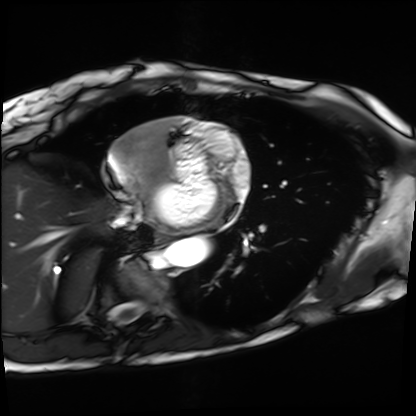
Summary: Cardiac MRI. Subject group: patient.